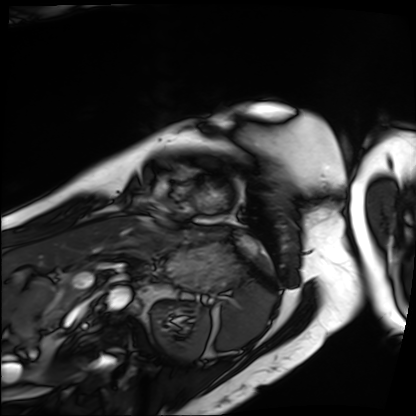
{
  "modality": "cardiac MRI",
  "cohort": "patient"
}